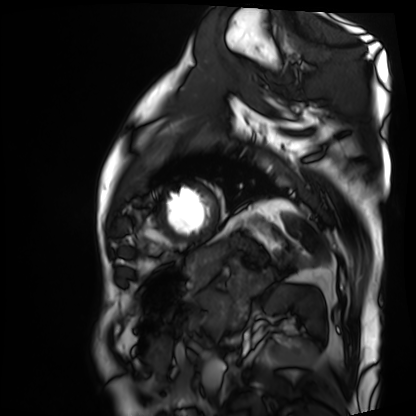
modality = cardiac MRI | subject group = patient.